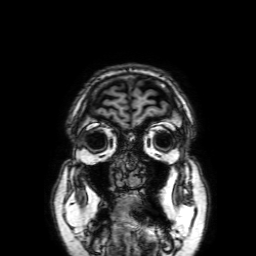
{
  "modality": {
    "type": "brain MRI",
    "field_strength": "3T"
  },
  "series": "3D T1-weighted with SENSE",
  "study_topic": "ring-enhancing brain masses"
}